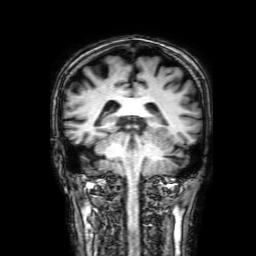
3 Tesla brain MRI.
Series: 3D T1-weighted with SENSE.
Study: ring-enhancing brain masses.